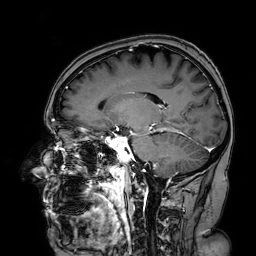
modality: 3 Tesla brain MRI; series: 3D T1-weighted turbo field echo with SENSE; study: ring-enhancing brain masses.